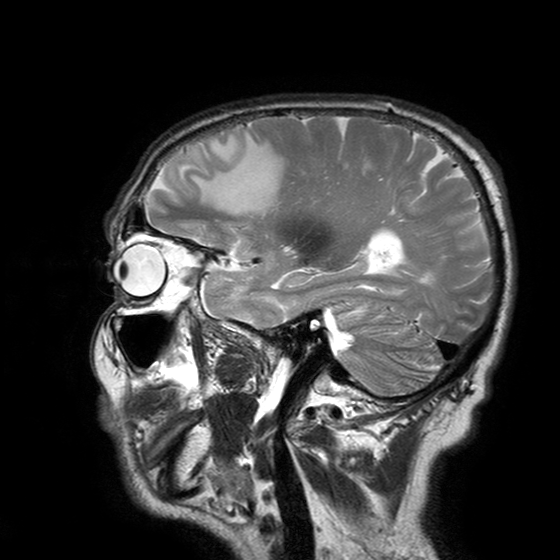
3 Tesla brain MRI. Series: T2-weighted turbo spin echo with SENSE. Study: ring-enhancing brain masses.